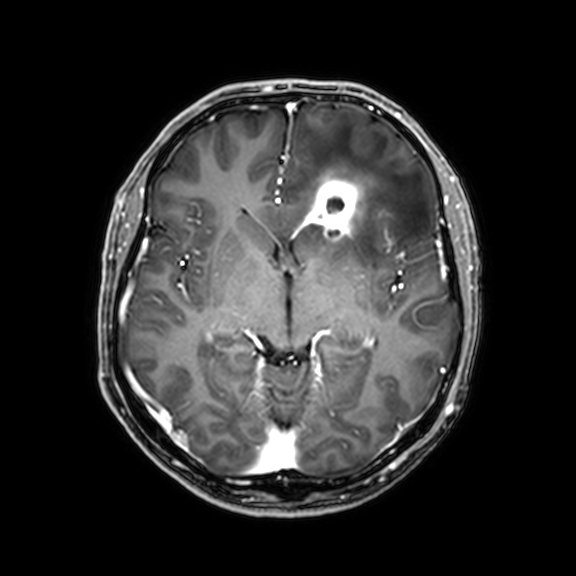
Summary: 3 Tesla brain MRI. Series: 3D T1-weighted with CLEAR. Study: ring-enhancing brain masses.